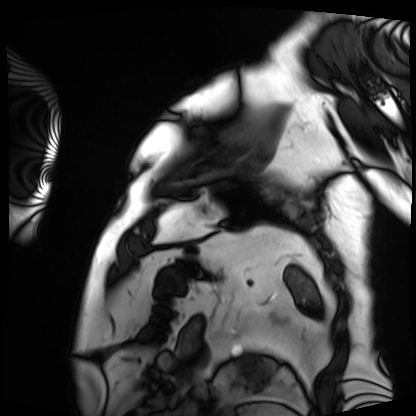
{"modality": "cardiac MRI", "cohort": "patient"}